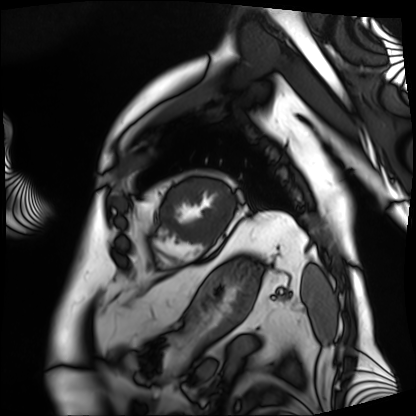
modality: cardiac MRI; subject group: patient.